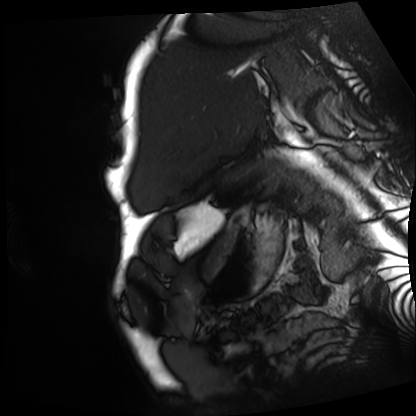
<study>
  <modality>cardiac MRI</modality>
  <cohort>patient</cohort>
</study>